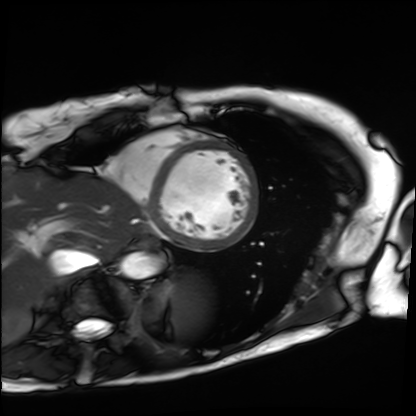
• modality: cardiac MRI
• subject group: patient